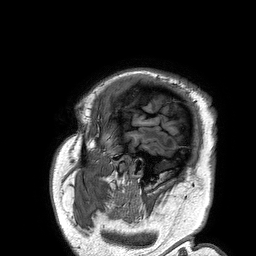
{
  "modality": {
    "type": "brain MRI",
    "field_strength": "3T"
  },
  "study_topic": "ring-enhancing brain masses"
}